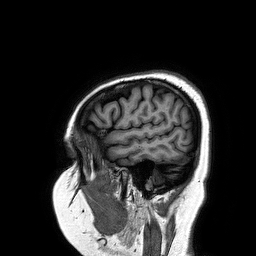
Q: What kind of scan is this?
A: 3 Tesla brain MRI.
Q: Series?
A: 3D T1-weighted turbo field echo.
Study: ring-enhancing brain masses.